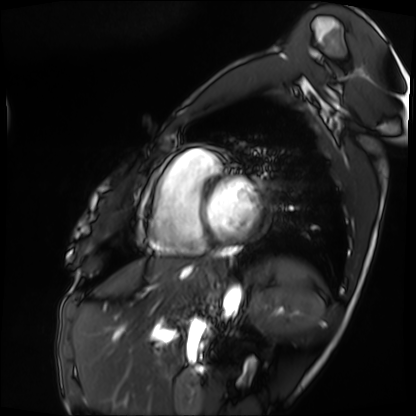
Clinical context: Cardiac MRI. Subject group: patient.